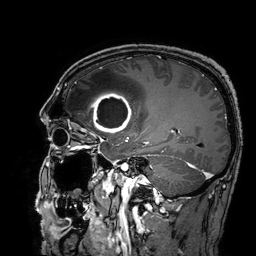
3 Tesla brain MRI.
Series: 3D T1-weighted turbo field echo with SENSE.
Study: ring-enhancing brain masses.